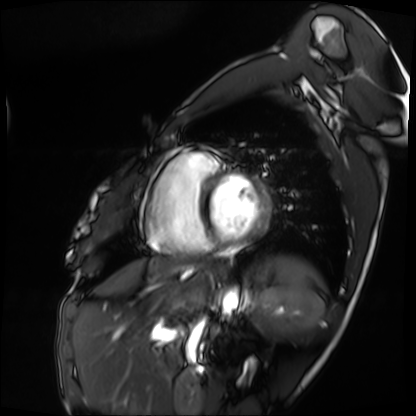
{
  "modality": "cardiac MRI",
  "cohort": "patient"
}